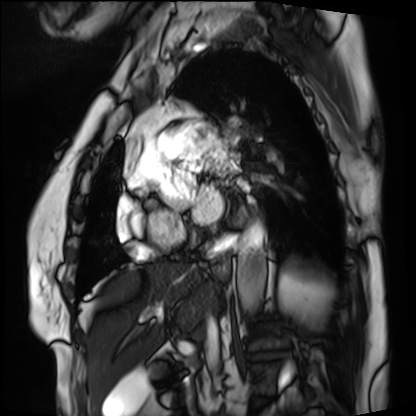
Summary: Cardiac MRI. Subject group: patient.